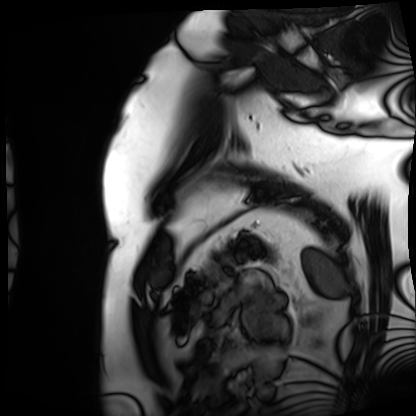
<case>
  <modality>cardiac MRI</modality>
  <cohort>patient</cohort>
</case>